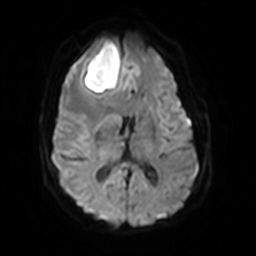
Clinical context:
3 Tesla brain MRI. Study: ring-enhancing brain masses.